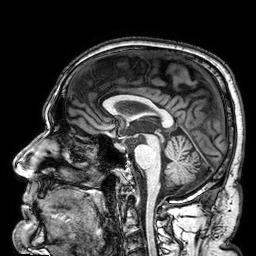
Summary:
3 Tesla brain MRI. Series: 3D T1-weighted. Study: ring-enhancing brain masses.